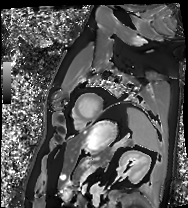
Summary:
Cardiac MRI. Subject group: patient.